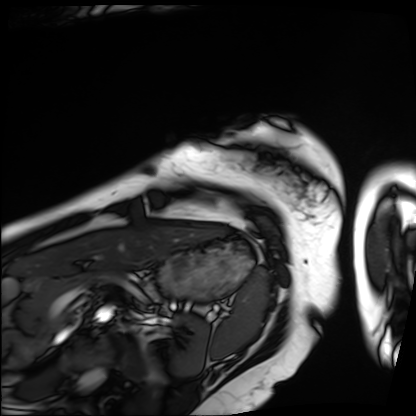
Summary:
Cardiac MRI. Subject group: patient.